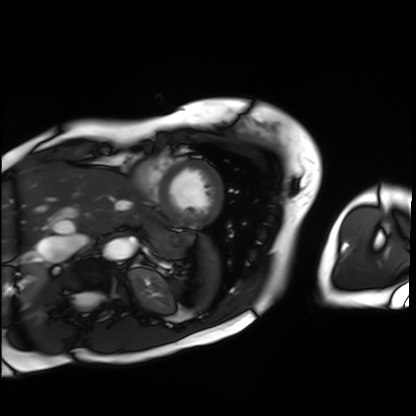
Cardiac MRI.
Subject group: patient.